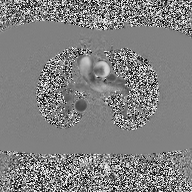
modality = 2D phase-contrast cine MRI of the ascending aorta.